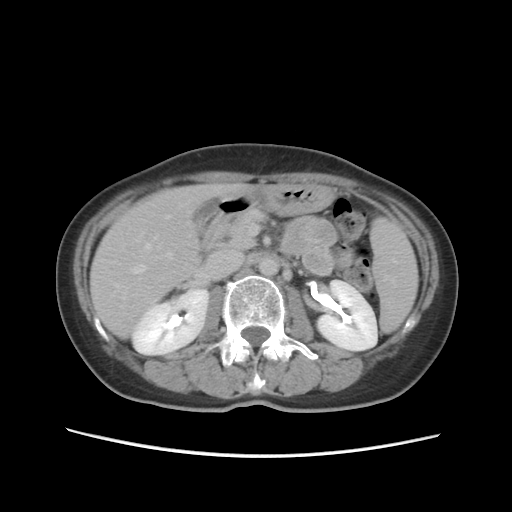
modality: multiphase abdominal CT, liver, delayed phase; patient: female, age 55.